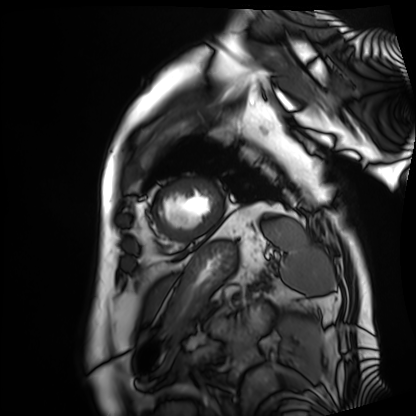
Q: What kind of scan is this?
A: Cardiac MRI.
Subject group: patient.